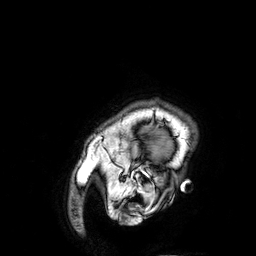
Case:
- modality — 3 Tesla brain MRI
- series — 3D T1-weighted
- study — ring-enhancing brain masses